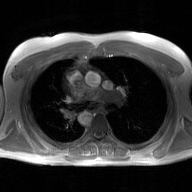
- modality · 2D phase-contrast cine MRI of the ascending aorta, GAN super-resolution reconstruction